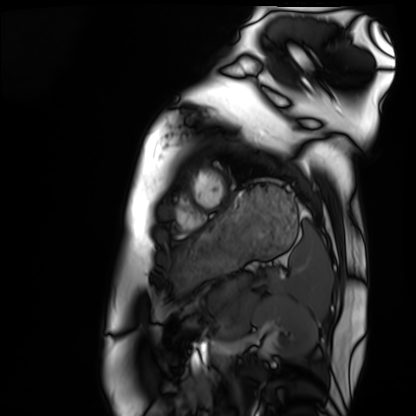
Cardiac MRI. Subject group: healthy volunteer.